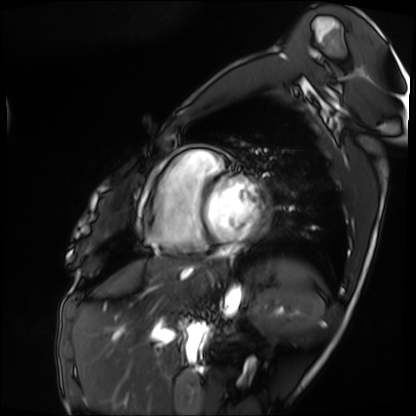
| field | value |
|---|---|
| modality | cardiac MRI |
| subject group | patient |